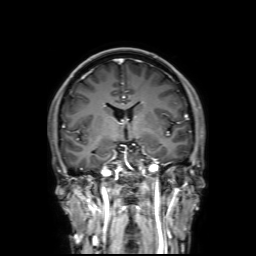
{"modality": {"type": "brain MRI", "field_strength": "3T"}, "series": "3D T1-weighted with SENSE", "study_topic": "ring-enhancing brain masses"}